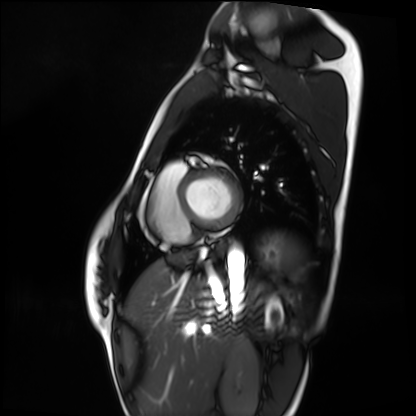
modality — cardiac MRI
subject group — healthy volunteer